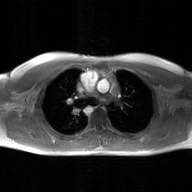
Case:
- modality: 2D phase-contrast cine MRI of the ascending aorta, GAN super-resolution reconstruction